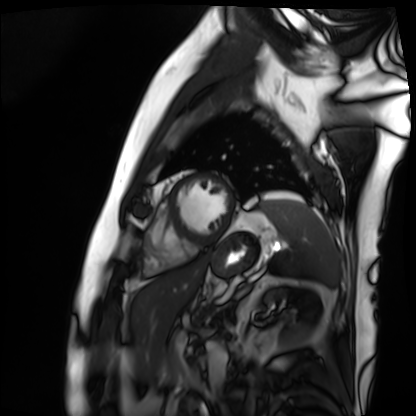
| field | value |
|---|---|
| modality | cardiac MRI |
| subject group | patient |